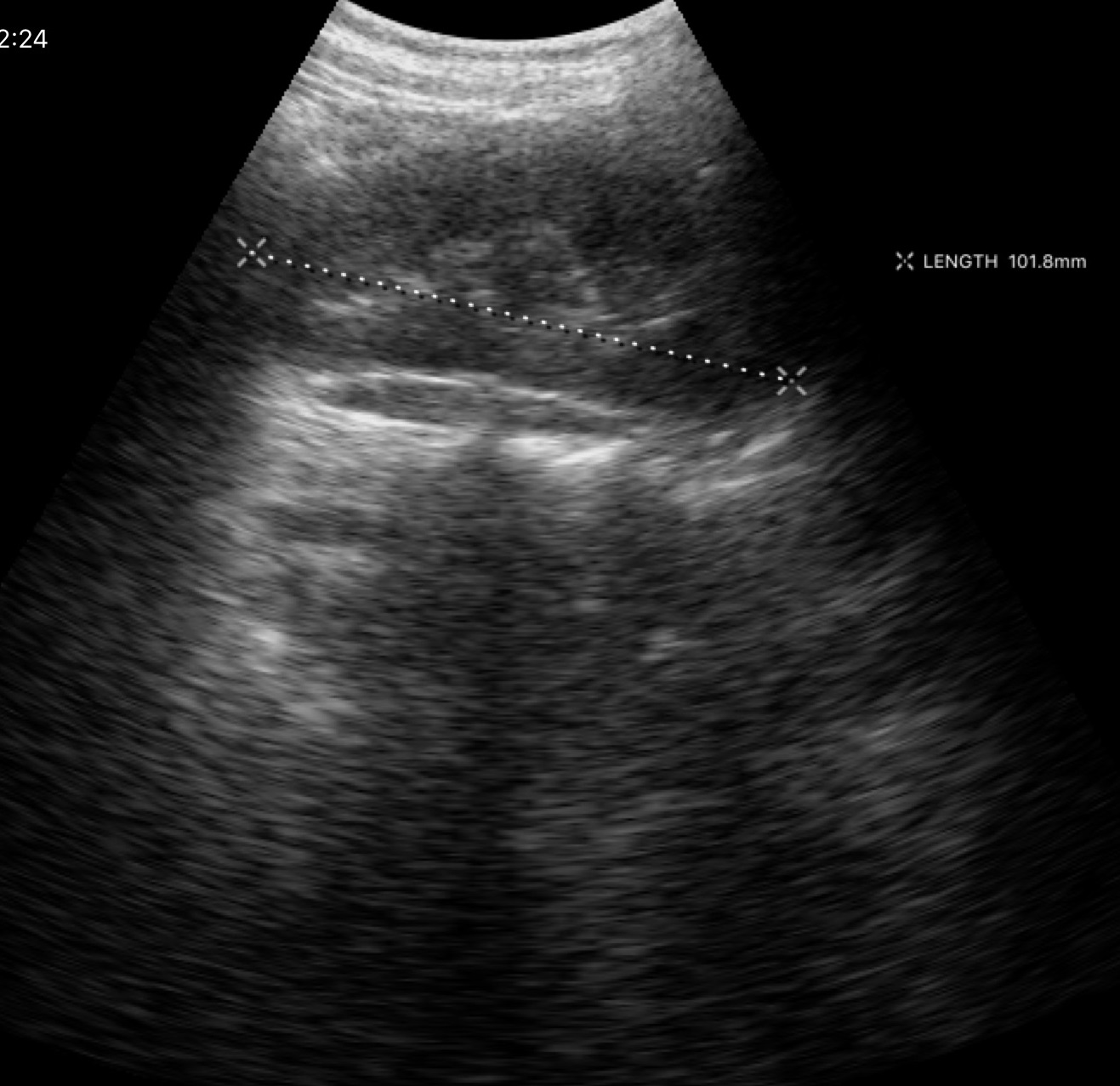
modality = genitourinary ultrasound.